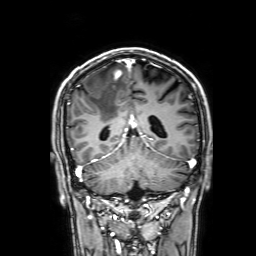
Summary:
3 Tesla brain MRI. Series: 3D T1-weighted with SENSE. Study: ring-enhancing brain masses.